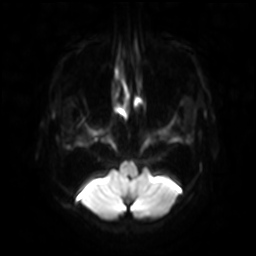
3 Tesla brain MRI. Series: diffusion-weighted imaging with SENSE (WIP). Study: ring-enhancing brain masses.